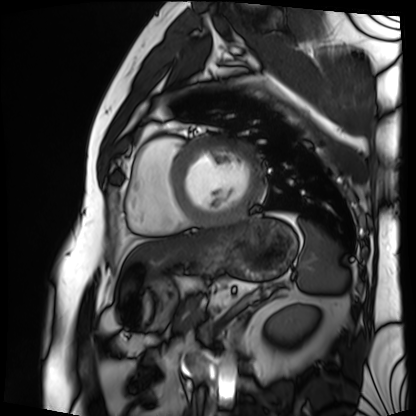
Cardiac MRI. Subject group: patient.